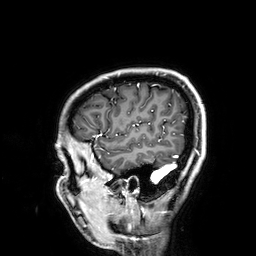
3 Tesla brain MRI.
Series: 3D T1-weighted.
Study: ring-enhancing brain masses.